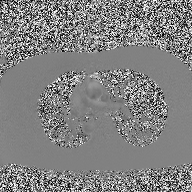
Summary:
2D phase-contrast cine MRI of the ascending aorta, high-resolution GRAPPA acquisition.